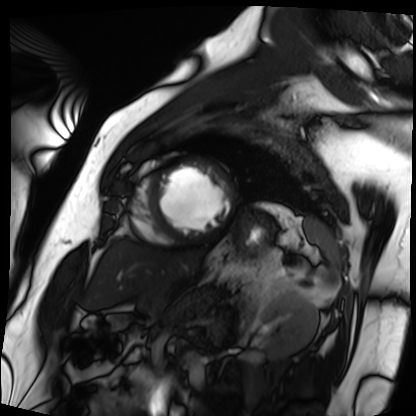
| field | value |
|---|---|
| modality | cardiac MRI |
| subject group | patient |